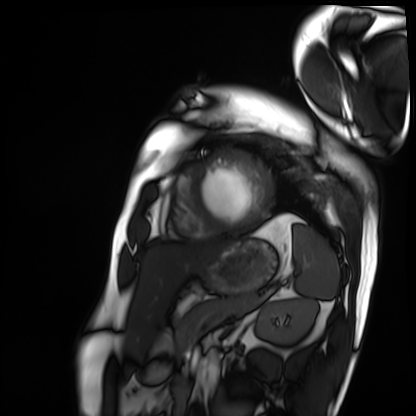
Cardiac MRI.
Subject group: patient.